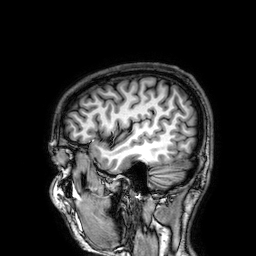
Clinical context: 3 Tesla brain MRI. Series: 3D T1-weighted. Study: ring-enhancing brain masses.